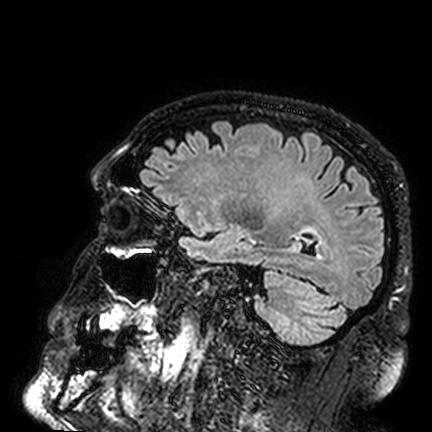
Case summary: 3 Tesla brain MRI. Series: FLAIR VISTA. Study: ring-enhancing brain masses.